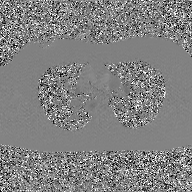
Clinical context:
2D phase-contrast cine MRI of the ascending aorta, GAN super-resolution reconstruction.